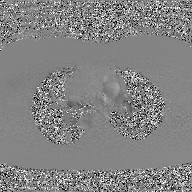
Case summary:
2D phase-contrast cine MRI of the ascending aorta, GAN super-resolution reconstruction.